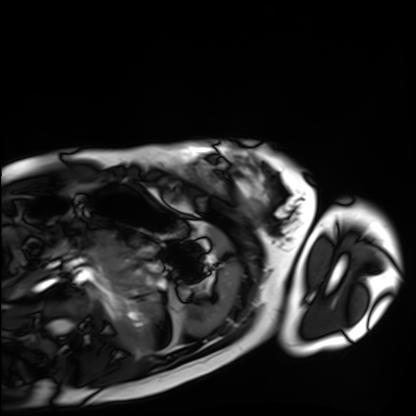
| field | value |
|---|---|
| modality | cardiac MRI |
| subject group | healthy volunteer |